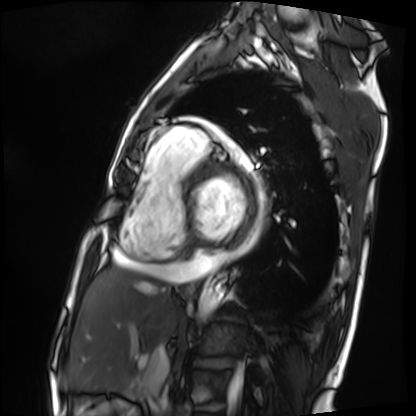
Cardiac MRI.
Subject group: patient.